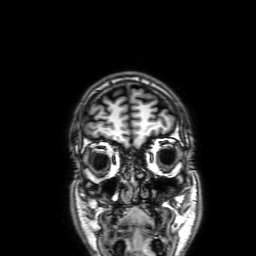
  modality:
    type: brain MRI
    field_strength: 3T
  series: 3D T1-weighted with SENSE
  study_topic: ring-enhancing brain masses